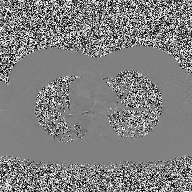
Case:
• modality — 2D phase-contrast cine MRI of the ascending aorta